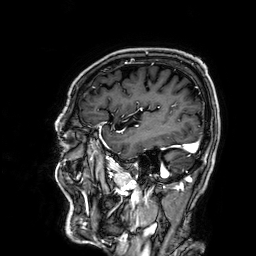
3 Tesla brain MRI. Series: 3D T1-weighted. Study: ring-enhancing brain masses.